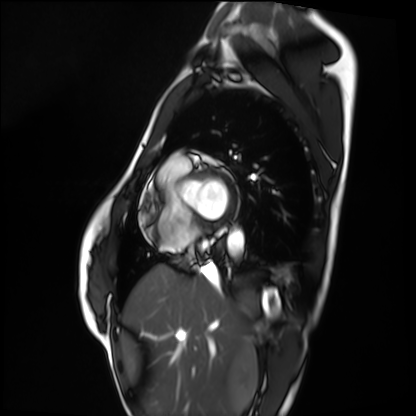
Clinical context: Cardiac MRI. Subject group: healthy volunteer.